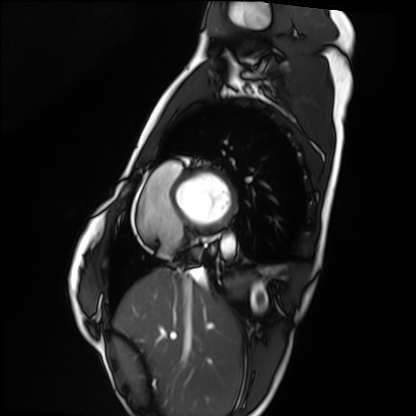
Summary: Cardiac MRI. Subject group: healthy volunteer.